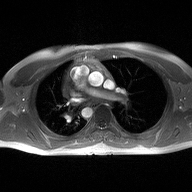
Case summary:
2D phase-contrast cine MRI of the ascending aorta, high-resolution GRAPPA acquisition.